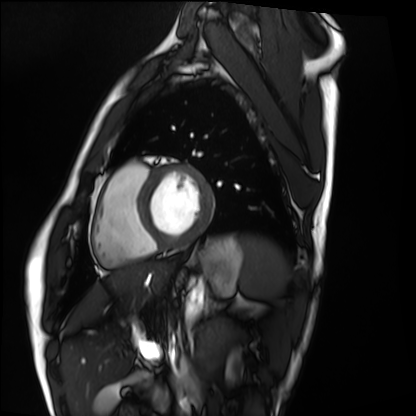
Cardiac MRI. Subject group: healthy volunteer.